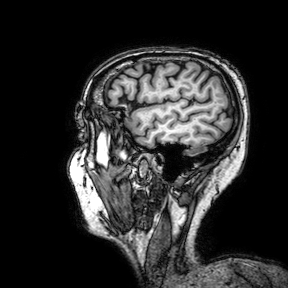
{"modality": {"type": "brain MRI", "field_strength": "3T"}, "series": "3D T1-weighted turbo field echo with SENSE", "study_topic": "ring-enhancing brain masses"}